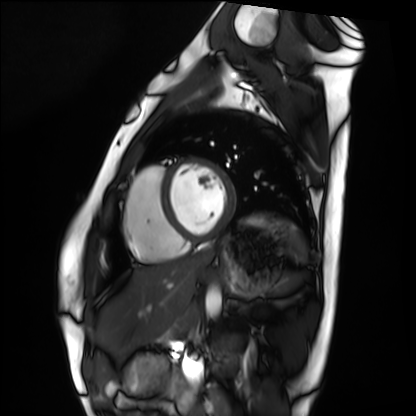
Case summary:
Cardiac MRI. Subject group: healthy volunteer.